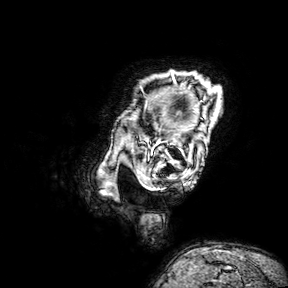
– modality — 3 Tesla brain MRI
– series — 3D T1-weighted turbo field echo with SENSE
– study — ring-enhancing brain masses